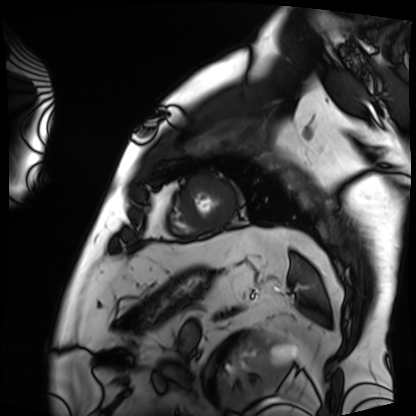
modality: cardiac MRI; subject group: patient.